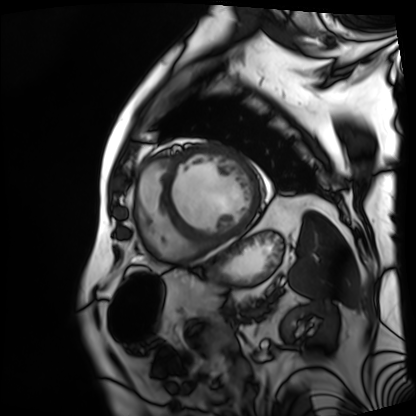
| field | value |
|---|---|
| modality | cardiac MRI |
| subject group | patient |